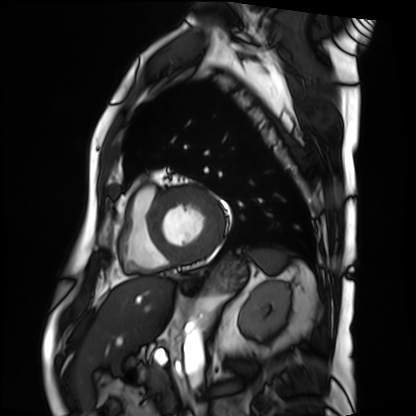
Case summary:
Cardiac MRI. Subject group: patient.